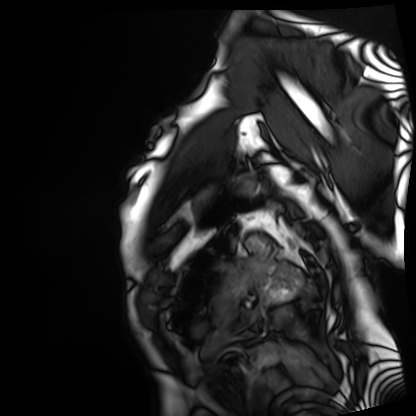
Cardiac MRI. Subject group: patient.